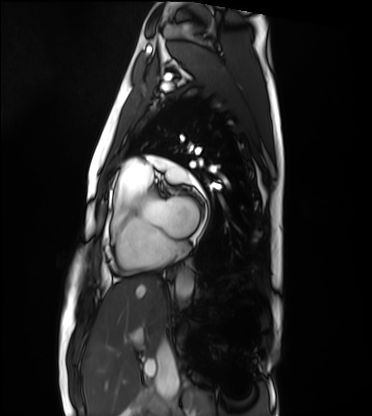
modality — cardiac MRI; subject group — healthy volunteer.